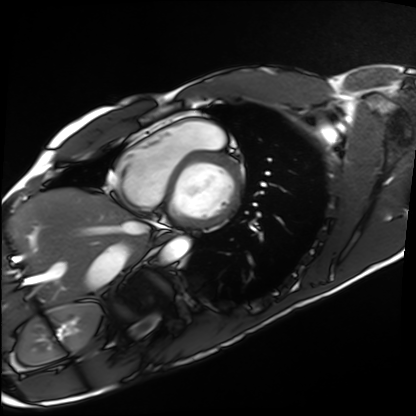
Cardiac MRI.
Subject group: healthy volunteer.